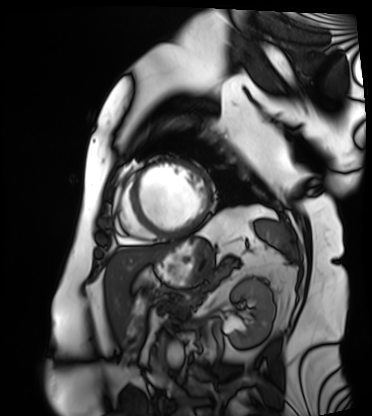
Cardiac MRI. Subject group: patient.